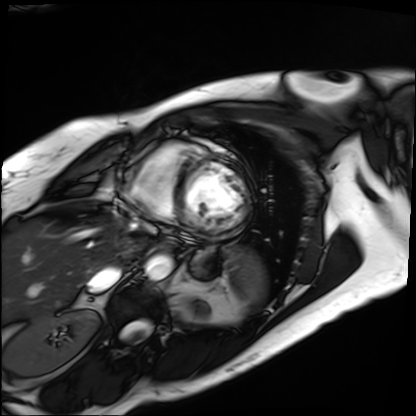
<study>
  <modality>cardiac MRI</modality>
  <cohort>patient</cohort>
</study>